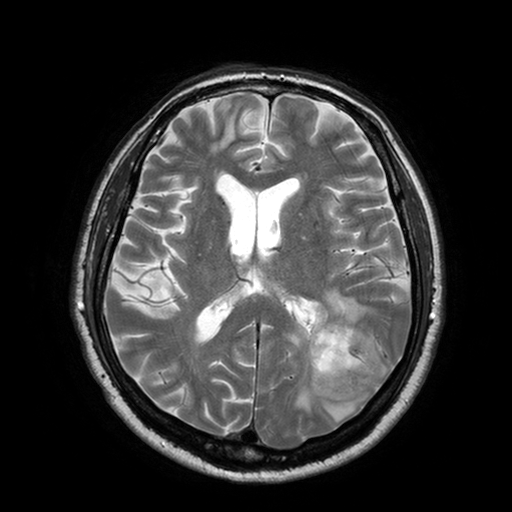
3 Tesla brain MRI.
Series: T2-weighted turbo spin echo with SENSE.
Study: ring-enhancing brain masses.